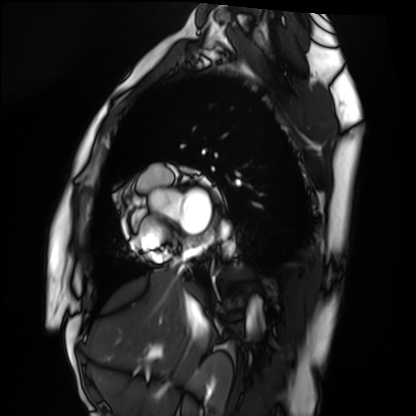
{
  "modality": "cardiac MRI",
  "cohort": "healthy volunteer"
}